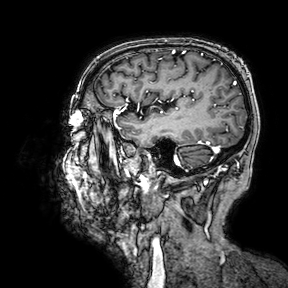
3 Tesla brain MRI. Series: 3D T1-weighted turbo field echo with SENSE. Study: ring-enhancing brain masses.